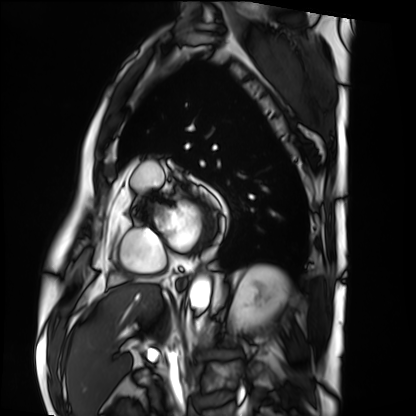
Clinical context:
Cardiac MRI. Subject group: patient.